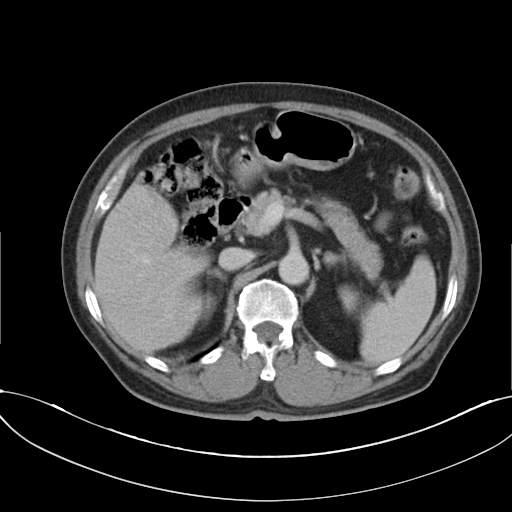
modality = multiphase abdominal CT, liver, delayed phase; patient = male, age 72; history = cirrhosis, viral hepatitis.